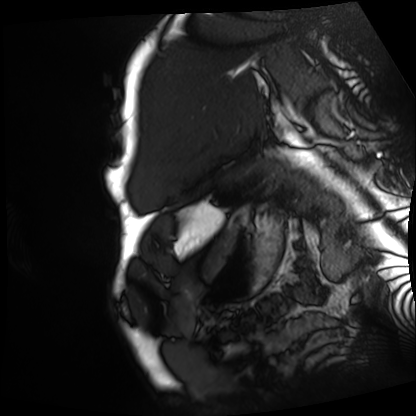
Cardiac MRI. Subject group: patient.